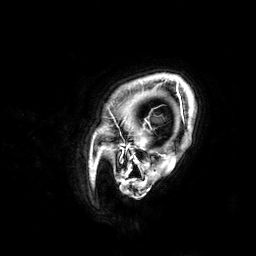
Clinical context:
3 Tesla brain MRI. Series: 3D T1-weighted. Study: ring-enhancing brain masses.